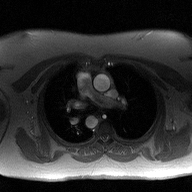
2D phase-contrast cine MRI of the ascending aorta, high-resolution GRAPPA acquisition.